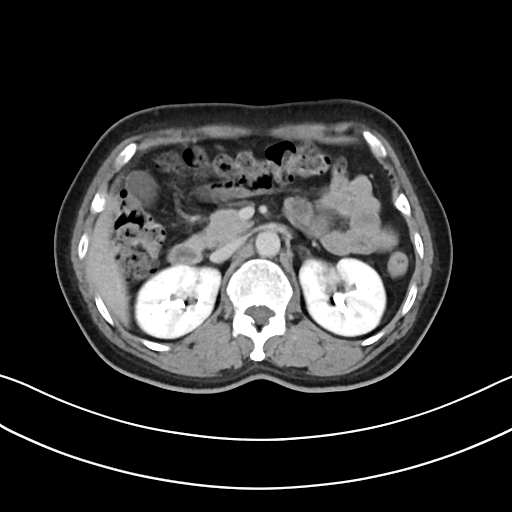
modality = multiphase abdominal CT, liver, delayed phase | patient = female, age 50.